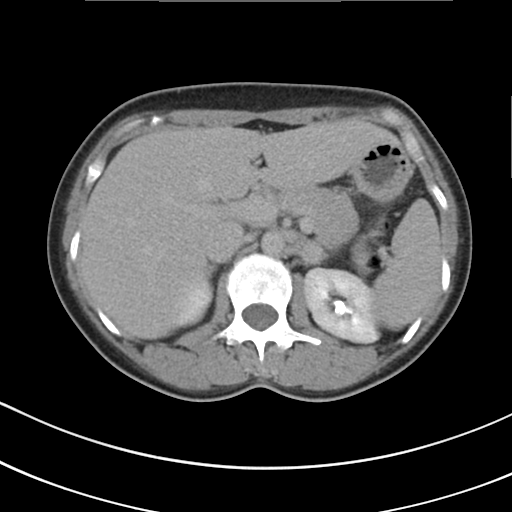
{
  "modality": {
    "type": "multiphase abdominal CT",
    "region": "liver",
    "phase": "delayed"
  },
  "patient": {
    "sex": "female",
    "age": 41
  }
}